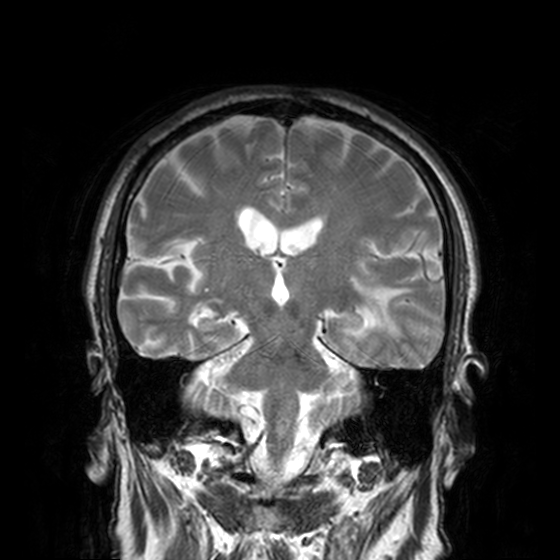
| field | value |
|---|---|
| modality | 3 Tesla brain MRI |
| series | T2-weighted turbo spin echo, 3 mm |
| study | ring-enhancing brain masses |